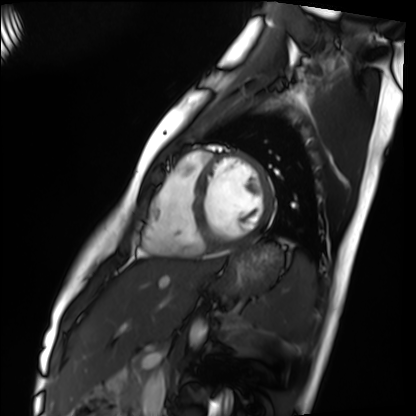
Cardiac MRI. Subject group: healthy volunteer.